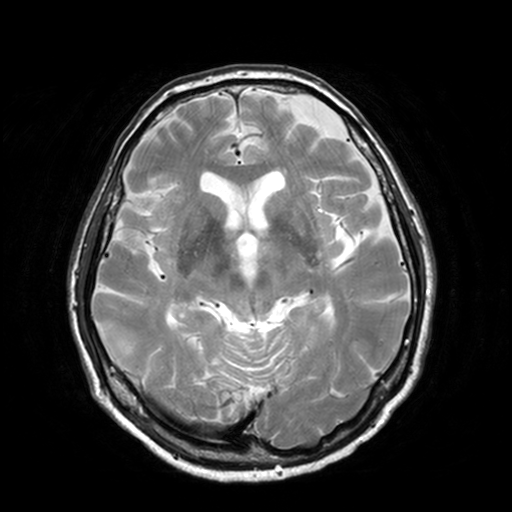
modality: 3 Tesla brain MRI | series: T2-weighted turbo spin echo, 3 mm | study: ring-enhancing brain masses.